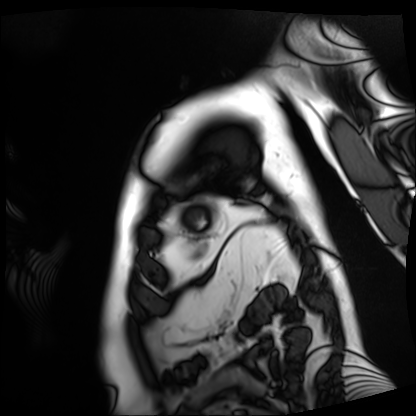
Case:
* modality · cardiac MRI
* subject group · patient